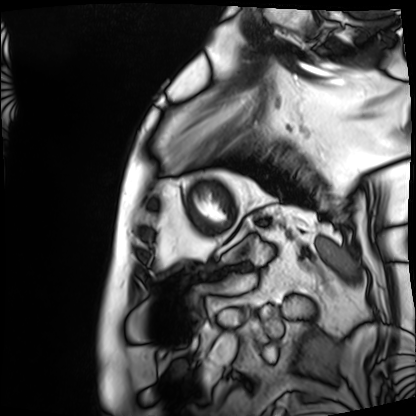
– modality — cardiac MRI
– subject group — patient